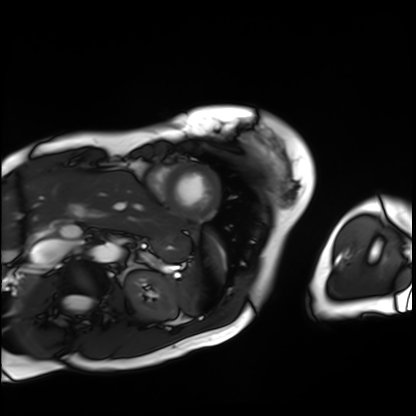
<study>
<modality>cardiac MRI</modality>
<cohort>patient</cohort>
</study>